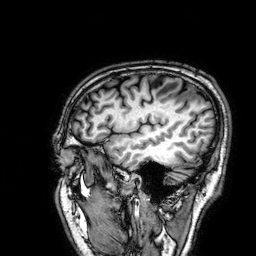
modality=3 Tesla brain MRI
series=3D T1-weighted
study=ring-enhancing brain masses